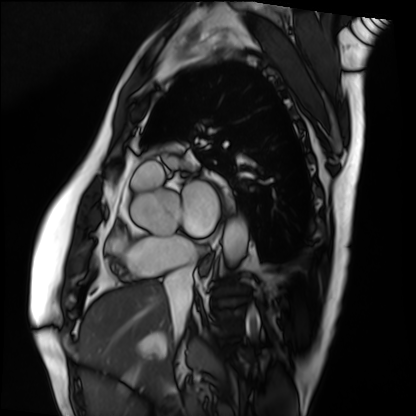
modality: cardiac MRI
cohort: patient